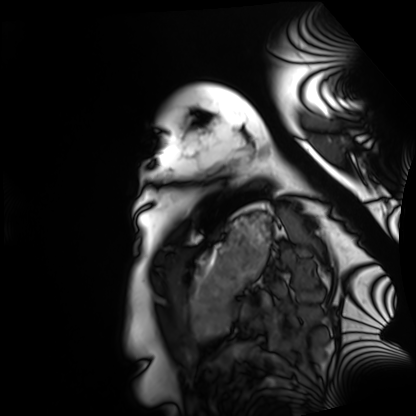
Cardiac MRI. Subject group: healthy volunteer.